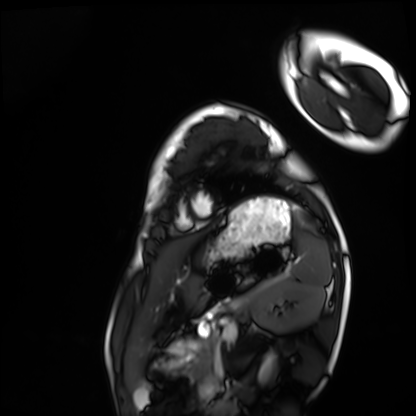
Case summary: Cardiac MRI. Subject group: healthy volunteer.